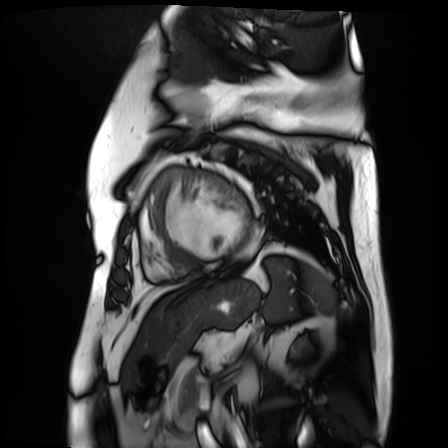
modality = cardiac MR image of the myocardium
subject cohort = cardiac patient